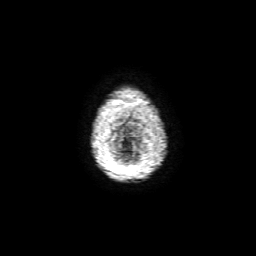
3 Tesla brain MRI. Series: 3D T1-weighted with SENSE. Study: ring-enhancing brain masses.